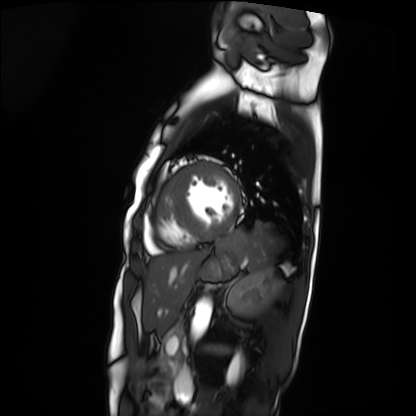
Cardiac MRI.
Subject group: patient.